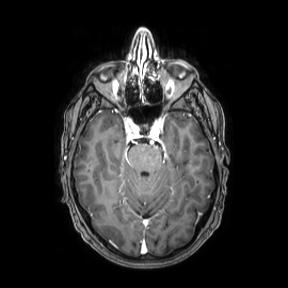
3 Tesla brain MRI. Series: axial. Study: ring-enhancing brain masses.